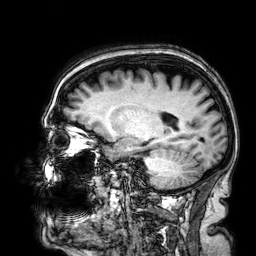
Case:
* modality: 3 Tesla brain MRI
* series: 3D T1-weighted
* study: ring-enhancing brain masses